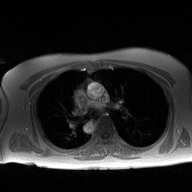
• modality · 2D phase-contrast cine MRI of the ascending aorta